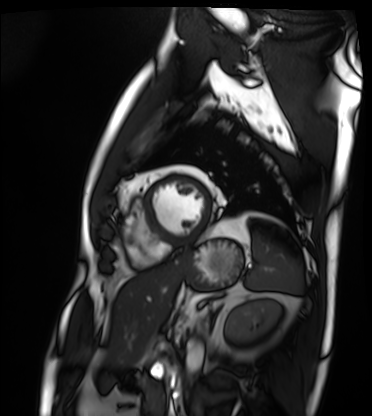
Case summary:
Cardiac MRI. Subject group: patient.